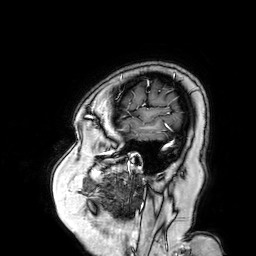
Summary:
3 Tesla brain MRI. Series: 3D T1-weighted turbo field echo with SENSE. Study: ring-enhancing brain masses.